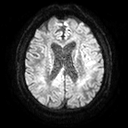
3 Tesla brain MRI. Series: diffusion tensor imaging (medium iso). Study: ring-enhancing brain masses.